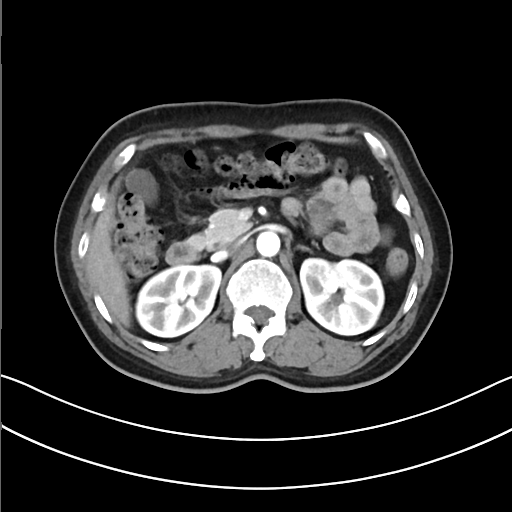
Summary: Multiphase abdominal CT, liver, arterial phase. Patient: female, age 50.